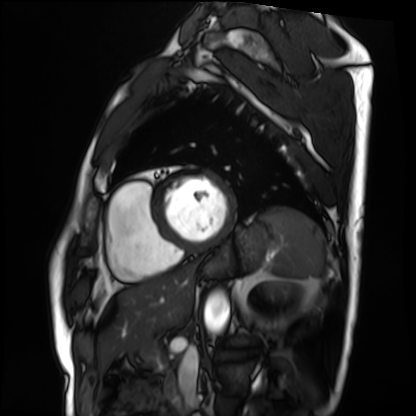
Case:
* modality: cardiac MRI
* subject group: patient